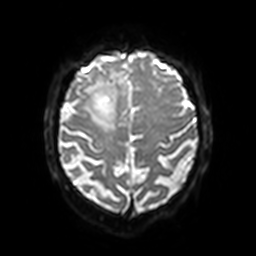
3 Tesla brain MRI. Series: diffusion-weighted imaging with SENSE (WIP). Study: ring-enhancing brain masses.